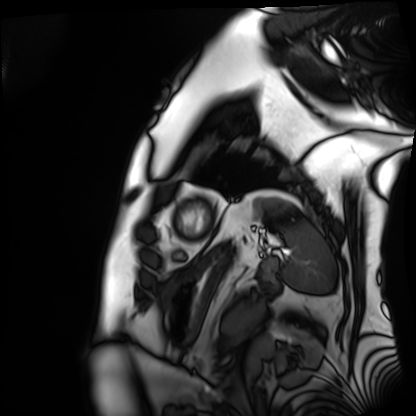
Cardiac MRI. Subject group: patient.